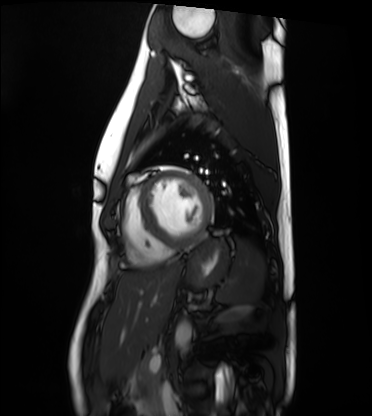
- modality — cardiac MRI
- subject group — healthy volunteer